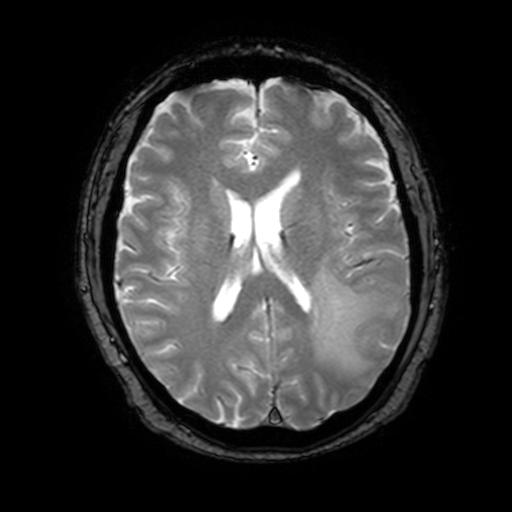
Summary: 3 Tesla brain MRI. Series: T2-weighted fast field echo with SENSE. Study: ring-enhancing brain masses.